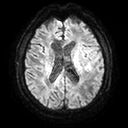
3 Tesla brain MRI.
Series: diffusion tensor imaging (medium iso).
Study: ring-enhancing brain masses.